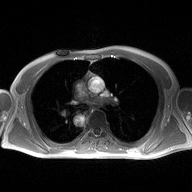
modality = 2D phase-contrast cine MRI of the ascending aorta.